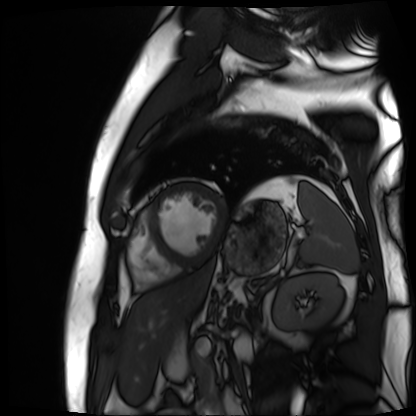
Cardiac MR image of the myocardium.
Subject cohort: cardiac patient.